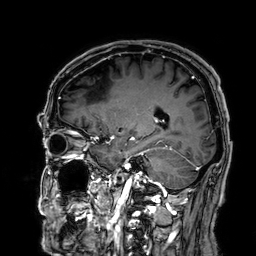
modality: 3 Tesla brain MRI; series: 3D T1-weighted; study: ring-enhancing brain masses.